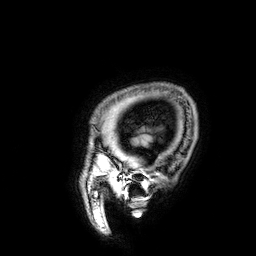
{"modality": {"type": "brain MRI", "field_strength": "3T"}, "series": "3D T1-weighted", "study_topic": "ring-enhancing brain masses"}